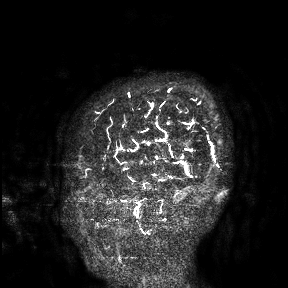
- modality — 3 Tesla brain MRI
- study — ring-enhancing brain masses